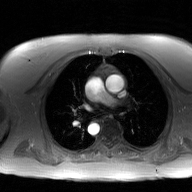
2D phase-contrast cine MRI of the ascending aorta, GAN super-resolution reconstruction.